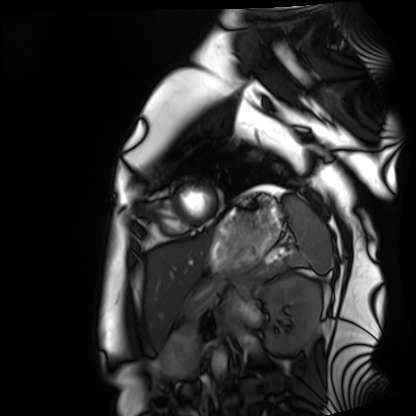
{"modality": "cardiac MRI", "cohort": "healthy volunteer"}